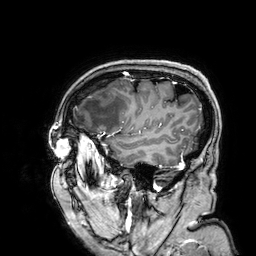
3 Tesla brain MRI. Series: 3D T1-weighted. Study: ring-enhancing brain masses.